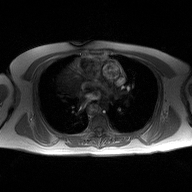
modality: 2D phase-contrast cine MRI of the ascending aorta.